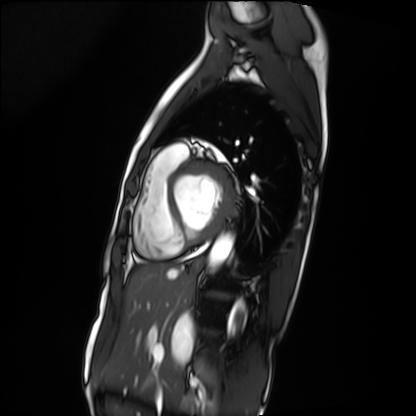
modality: cardiac MRI; subject group: patient.